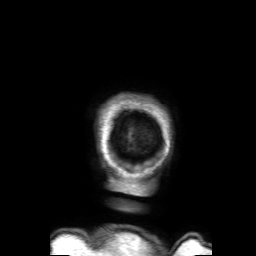
3 Tesla brain MRI.
Series: 3D T1-weighted with SENSE.
Study: ring-enhancing brain masses.